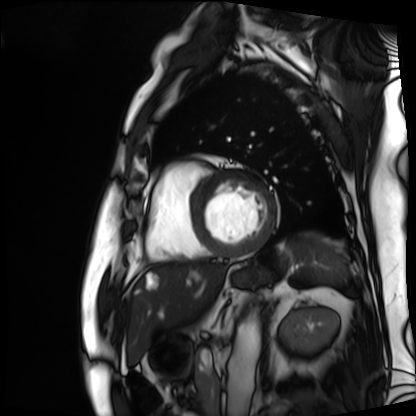
• modality · cardiac MRI
• subject group · patient